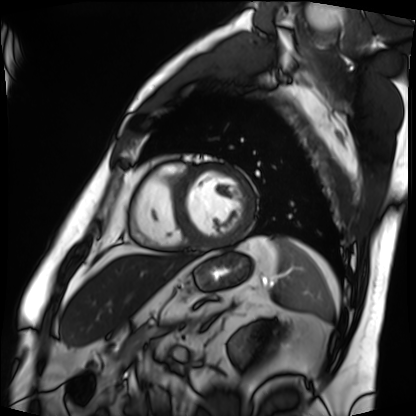
Summary: Cardiac MRI. Subject group: patient.